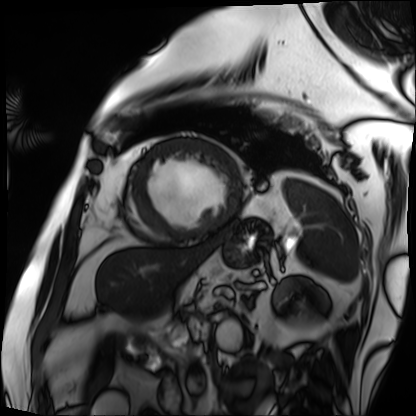
• modality: cardiac MRI
• subject group: patient